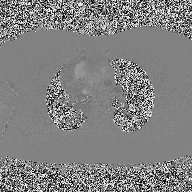
2D phase-contrast cine MRI of the ascending aorta, high-resolution GRAPPA acquisition.